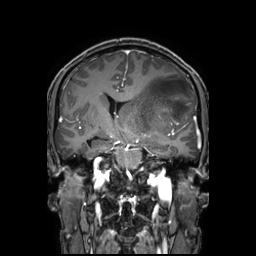
3 Tesla brain MRI. Series: 3D T1-weighted TFE with SENSE. Study: ring-enhancing brain masses.